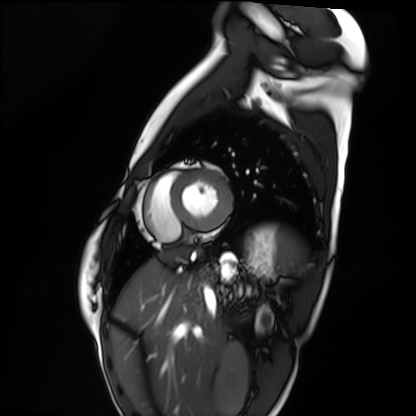
Cardiac MRI. Subject group: healthy volunteer.